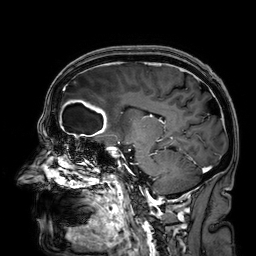
modality: 3 Tesla brain MRI
series: 3D T1-weighted
study: ring-enhancing brain masses